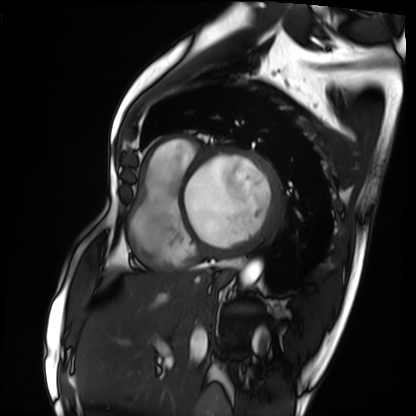
- modality · cardiac MRI
- subject group · patient